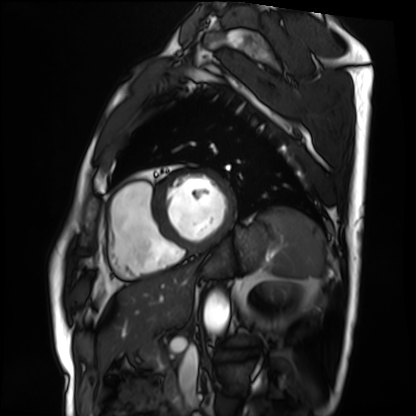
{"modality": "cardiac MRI", "cohort": "patient"}